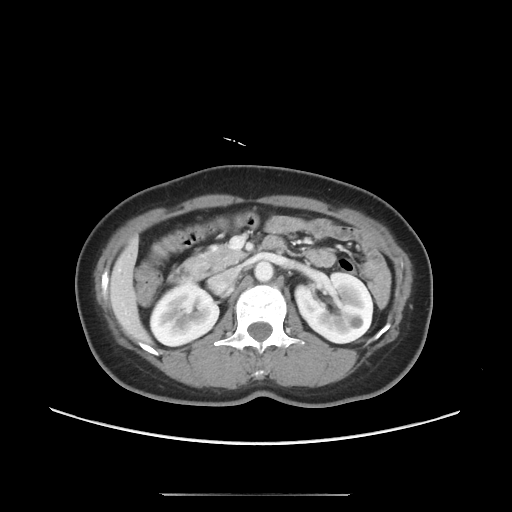
Q: What kind of scan is this?
A: Multiphase abdominal CT, liver, portal venous phase.
Q: Patient?
A: Female, age 49.